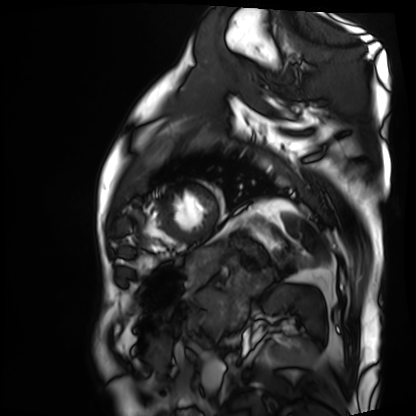
modality = cardiac MRI | subject group = patient.